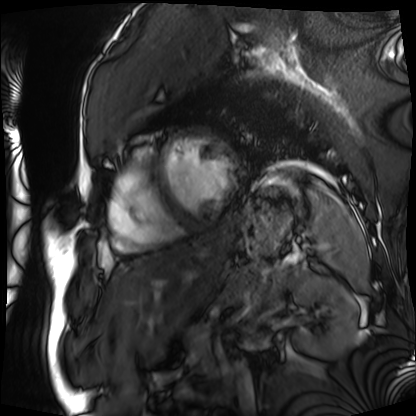
modality = cardiac MRI; subject group = patient.